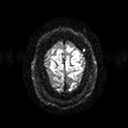
{"modality": {"type": "brain MRI", "field_strength": "3T"}, "series": "diffusion tensor imaging (medium iso)", "study_topic": "ring-enhancing brain masses"}